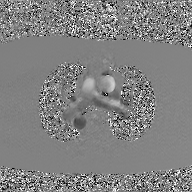
2D phase-contrast cine MRI of the ascending aorta, GAN super-resolution reconstruction.